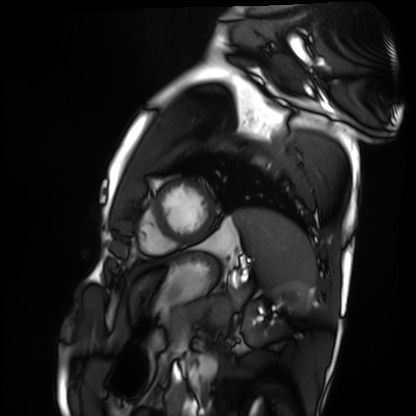
Clinical context: Cardiac MRI. Subject group: healthy volunteer.